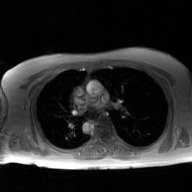
modality=2D phase-contrast cine MRI of the ascending aorta, GAN super-resolution reconstruction.